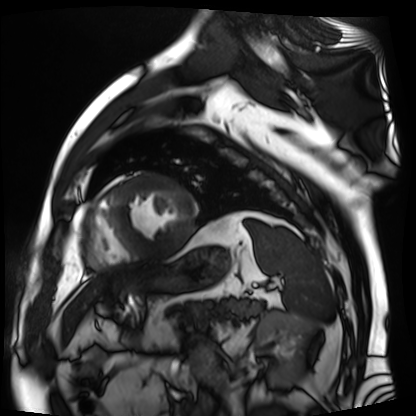
Summary:
Cardiac MR image of the myocardium. Subject cohort: cardiac patient.